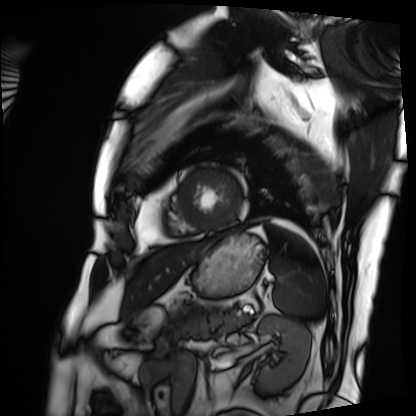
{
  "modality": "cardiac MRI",
  "cohort": "patient"
}